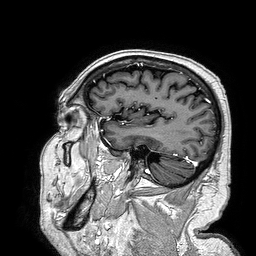
modality = 3 Tesla brain MRI
series = 3D T1-weighted turbo field echo
study = ring-enhancing brain masses